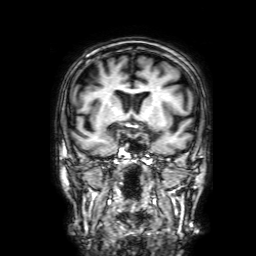
3 Tesla brain MRI. Series: 3D T1-weighted with SENSE. Study: ring-enhancing brain masses.